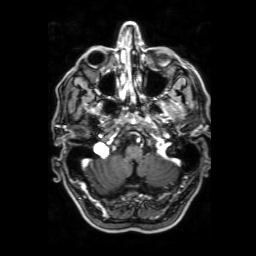
3 Tesla brain MRI. Series: 3D T1-weighted with SENSE. Study: ring-enhancing brain masses.